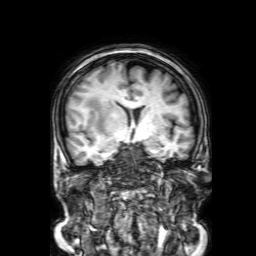
Summary:
3 Tesla brain MRI. Series: 3D T1-weighted with SENSE. Study: ring-enhancing brain masses.